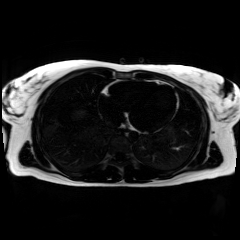
{
  "modality": "chemical-shift-encoded cardiac MRI"
}